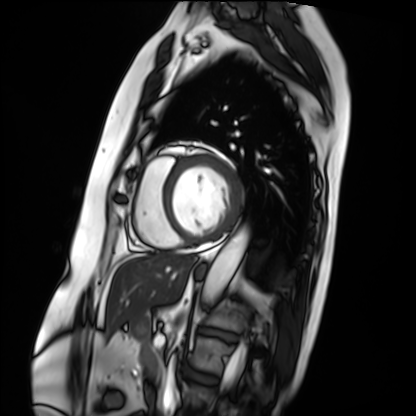
Cardiac MRI. Subject group: patient.